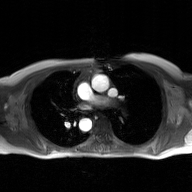
Case summary:
2D phase-contrast cine MRI of the ascending aorta, GAN super-resolution reconstruction.